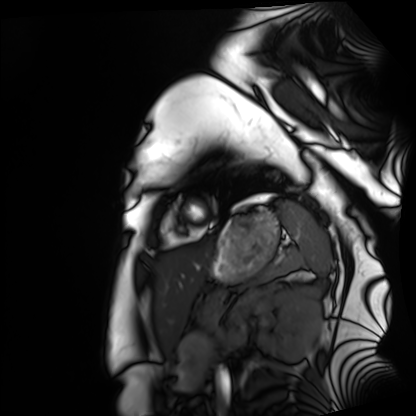
{"modality": "cardiac MRI", "cohort": "healthy volunteer"}